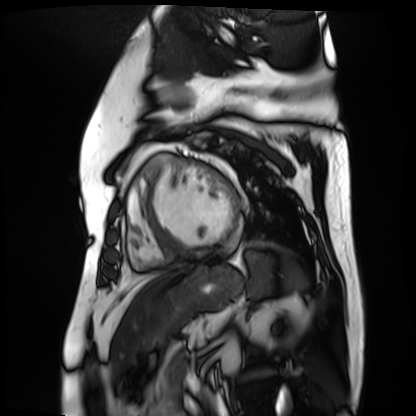
Q: What kind of scan is this?
A: Cardiac MR image of the myocardium.
Subject cohort: cardiac patient.